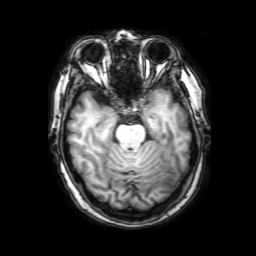
• modality — 3 Tesla brain MRI
• series — 3D T1-weighted with SENSE
• study — ring-enhancing brain masses